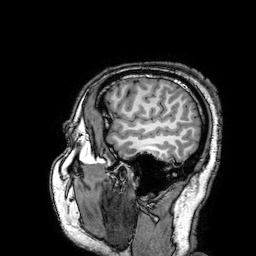
modality: 3 Tesla brain MRI | series: 3D T1-weighted turbo field echo with SENSE | study: ring-enhancing brain masses.